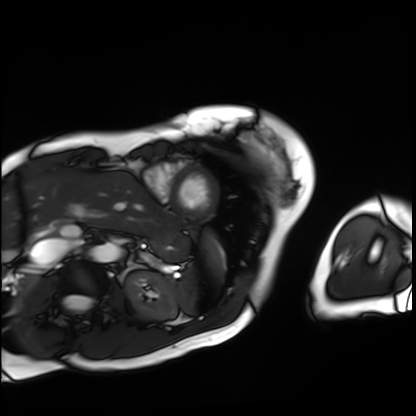
{
  "modality": "cardiac MRI",
  "cohort": "patient"
}